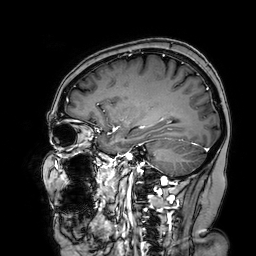
{"modality": {"type": "brain MRI", "field_strength": "3T"}, "series": "3D T1-weighted turbo field echo with SENSE", "study_topic": "ring-enhancing brain masses"}